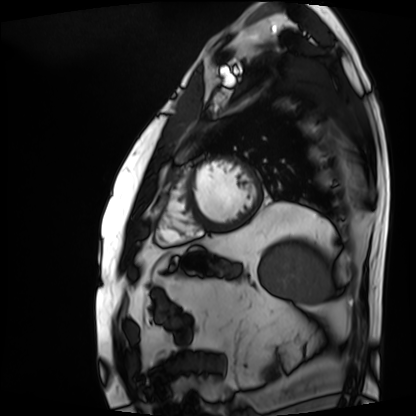
modality = cardiac MRI; subject group = patient.